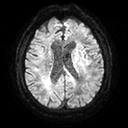
Summary:
3 Tesla brain MRI. Series: diffusion tensor imaging (medium iso). Study: ring-enhancing brain masses.